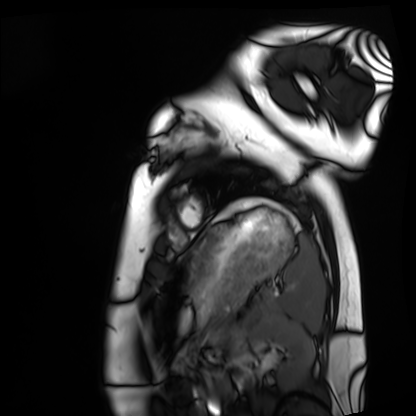
Cardiac MRI. Subject group: healthy volunteer.